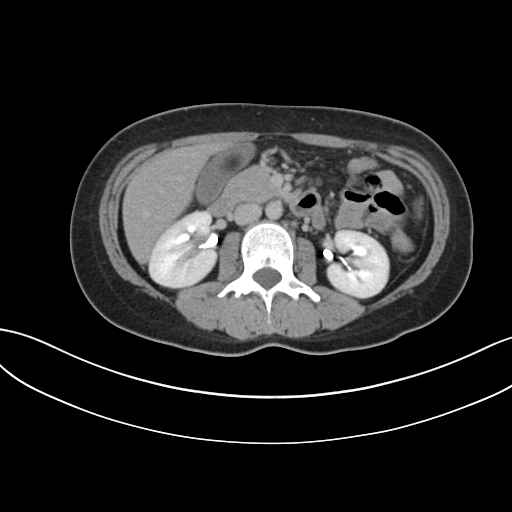
Multiphase abdominal CT, liver, delayed phase. Patient: male, age 37.